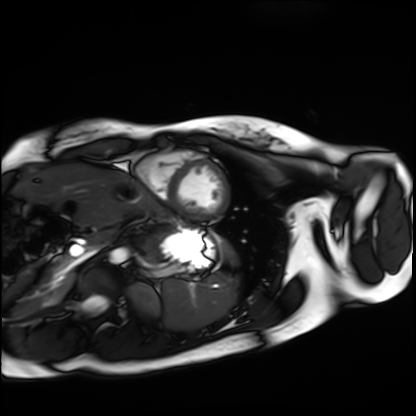
{"modality": "cardiac MRI", "cohort": "healthy volunteer"}